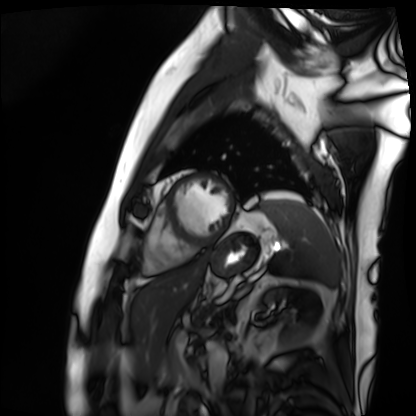
{"modality": "cardiac MRI", "cohort": "patient"}